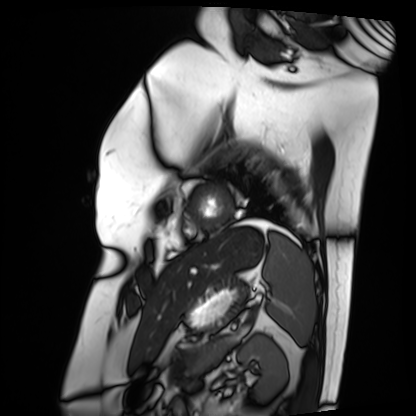
Summary:
Cardiac MRI. Subject group: patient.